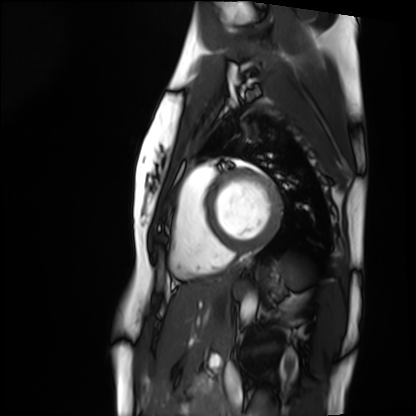
modality: cardiac MRI | subject group: healthy volunteer.